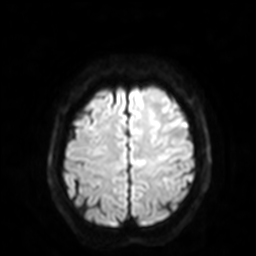
{"modality": {"type": "brain MRI", "field_strength": "3T"}, "series": "diffusion-weighted imaging with SENSE (WIP)", "study_topic": "ring-enhancing brain masses"}